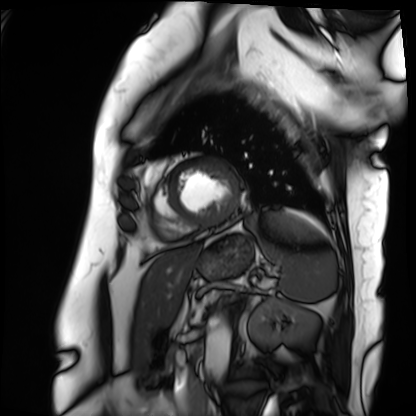
modality = cardiac MRI, subject group = patient.